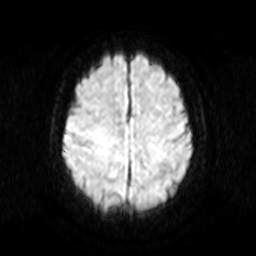
Q: What kind of scan is this?
A: 3 Tesla brain MRI.
Q: Series?
A: Diffusion-weighted imaging.
Study: ring-enhancing brain masses.